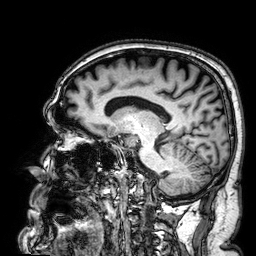
3 Tesla brain MRI. Series: 3D T1-weighted. Study: ring-enhancing brain masses.